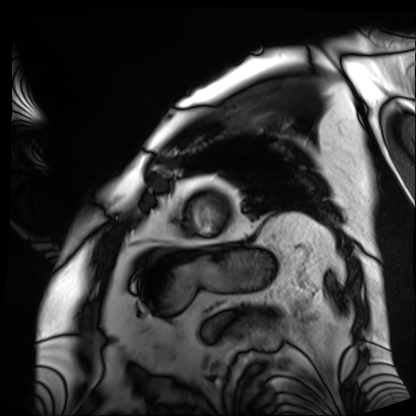
| field | value |
|---|---|
| modality | cardiac MRI |
| subject group | patient |